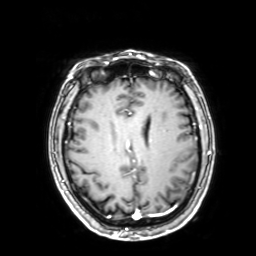
3 Tesla brain MRI. Series: 3D T1-weighted with SENSE. Study: ring-enhancing brain masses.